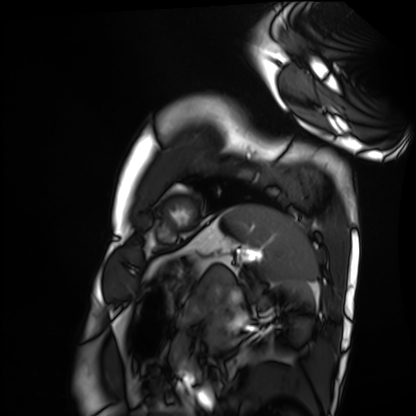
Cardiac MRI.
Subject group: healthy volunteer.